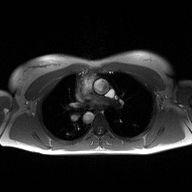
Q: What kind of scan is this?
A: 2D phase-contrast cine MRI of the ascending aorta.